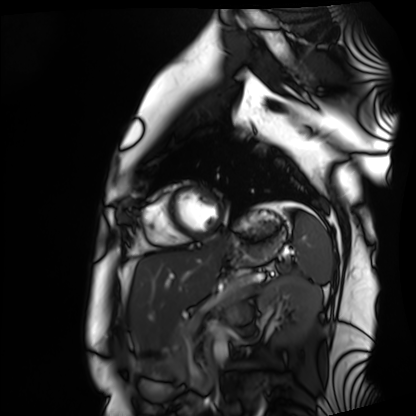
Clinical context:
Cardiac MRI. Subject group: healthy volunteer.